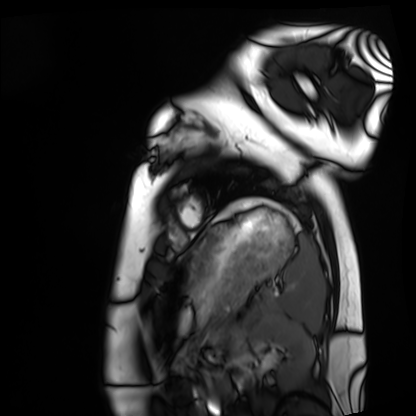
Case:
– modality — cardiac MRI
– subject group — healthy volunteer